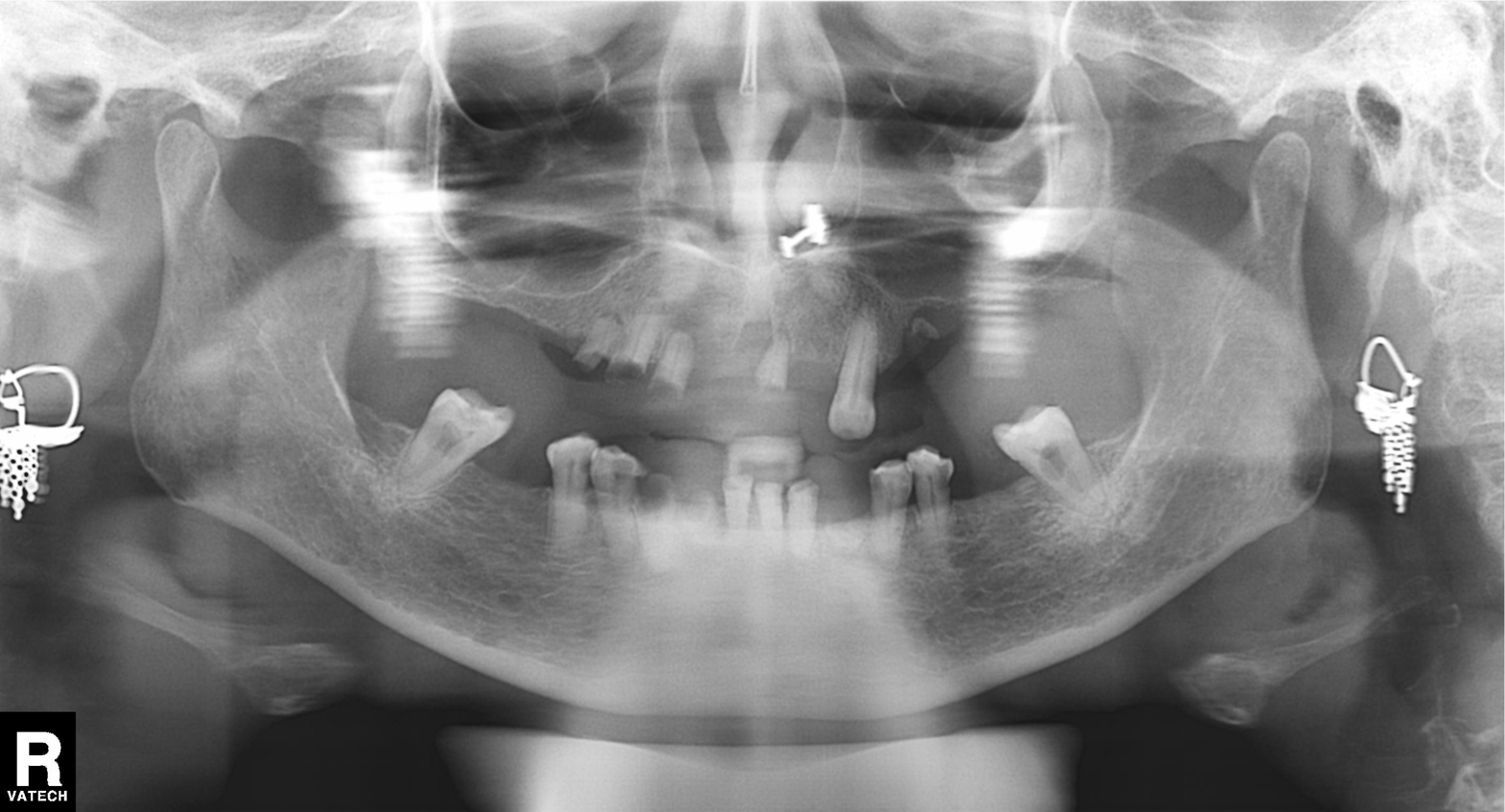
| feature | finding |
|---|---|
| modality | panoramic dental radiograph (orthopantomogram) |
| finding | alveolar bone loss |